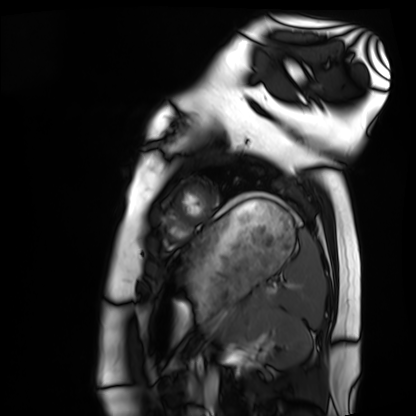
modality=cardiac MRI | subject group=healthy volunteer.